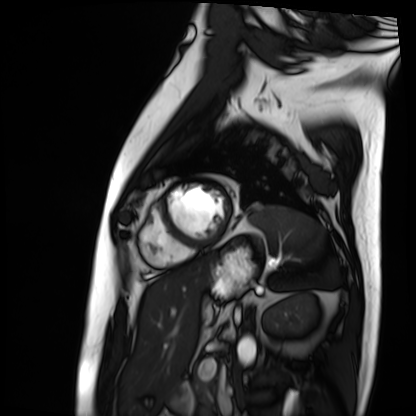
Summary:
Cardiac MRI. Subject group: patient.